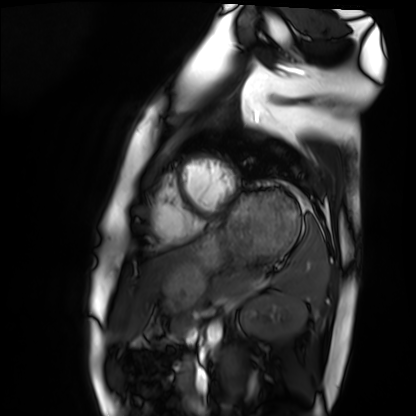
Cardiac MRI. Subject group: healthy volunteer.